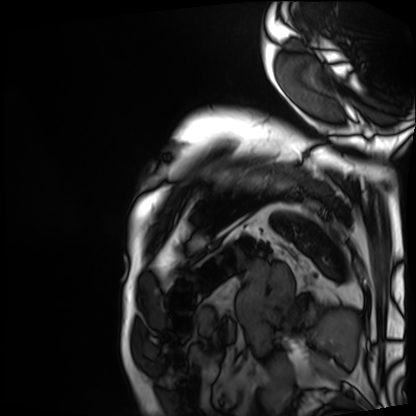
Cardiac MRI. Subject group: patient.